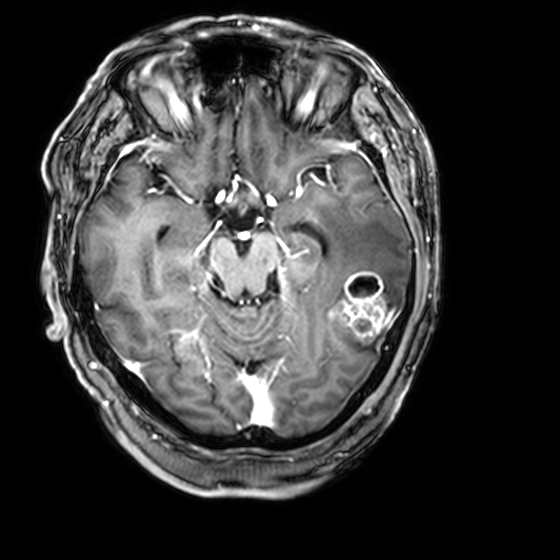
- modality: 3 Tesla brain MRI
- series: 3D T1-weighted with CLEAR
- study: ring-enhancing brain masses